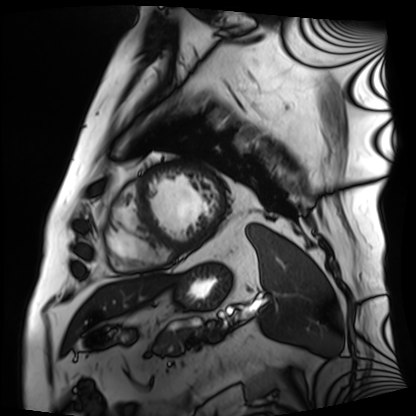
Q: What kind of scan is this?
A: Cardiac MRI.
Subject group: patient.